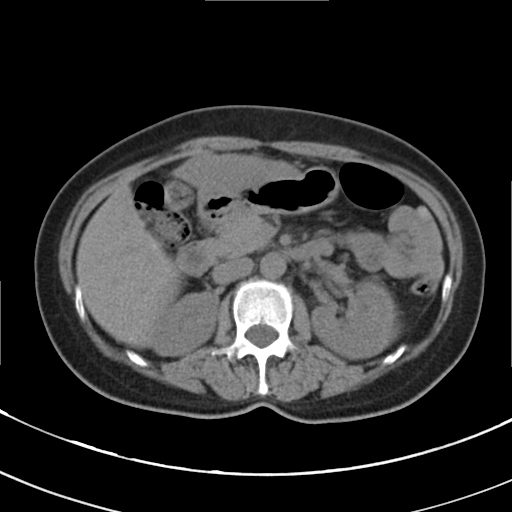
Summary: Multiphase abdominal CT, liver, non-contrast phase. Patient: female, age 56. History: cirrhosis, viral hepatitis.